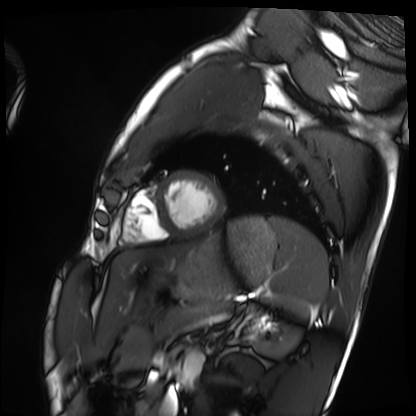
Summary: Cardiac MRI. Subject group: healthy volunteer.